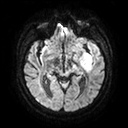
<record>
<modality>
  <type>brain MRI</type>
  <field_strength>3T</field_strength>
</modality>
<series>diffusion tensor imaging (medium iso)</series>
<study_topic>ring-enhancing brain masses</study_topic>
</record>